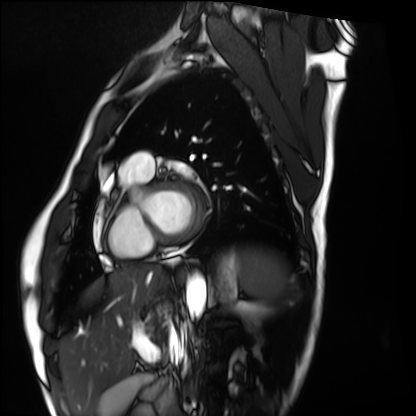
Cardiac MRI. Subject group: healthy volunteer.